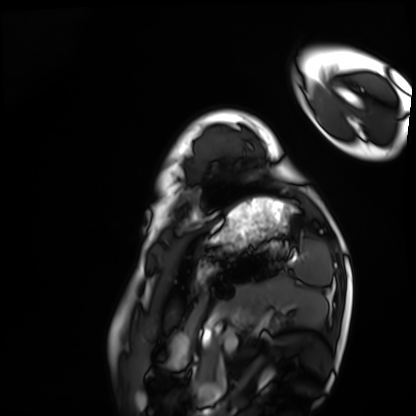
| field | value |
|---|---|
| modality | cardiac MRI |
| subject group | healthy volunteer |